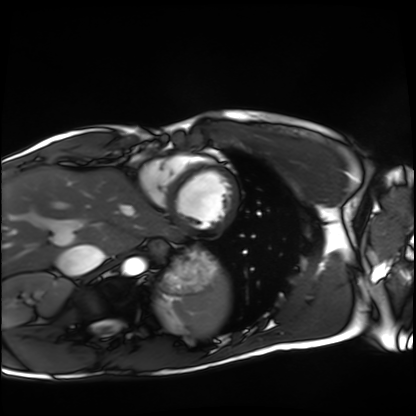
{
  "modality": "cardiac MRI",
  "cohort": "healthy volunteer"
}